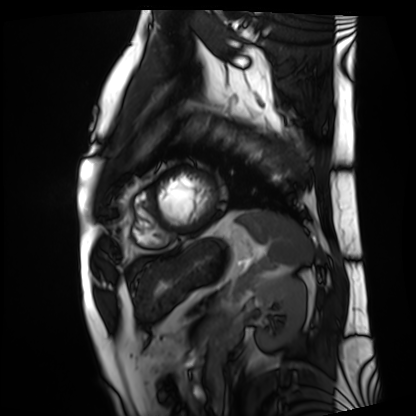
Q: What kind of scan is this?
A: Cardiac MRI.
Subject group: patient.